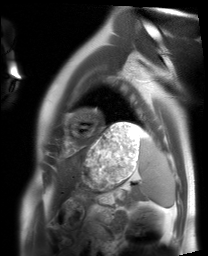
Clinical context:
Cardiac MRI. Subject group: healthy volunteer.